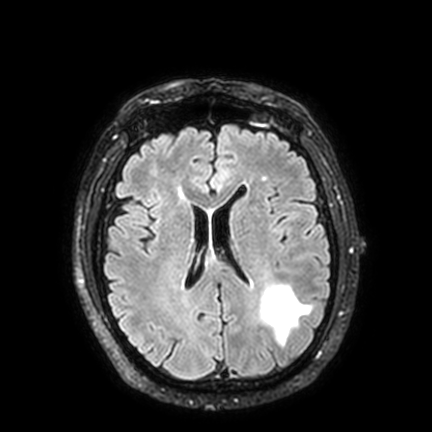
Case summary:
3 Tesla brain MRI. Series: FLAIR VISTA with SENSE. Study: ring-enhancing brain masses.